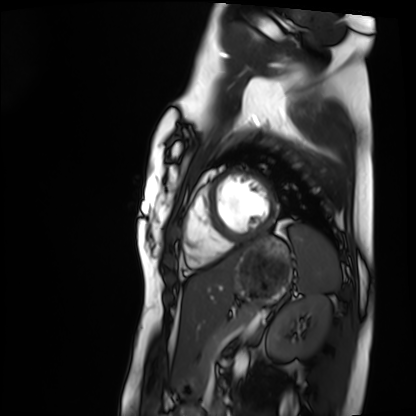
Cardiac MRI.
Subject group: healthy volunteer.